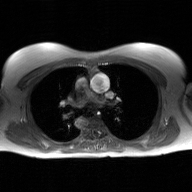
Clinical context: 2D phase-contrast cine MRI of the ascending aorta, GAN super-resolution reconstruction.